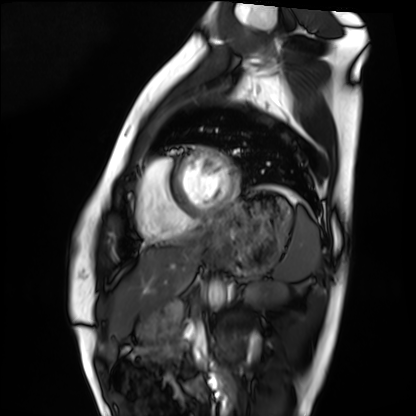
  modality: cardiac MRI
  cohort: healthy volunteer